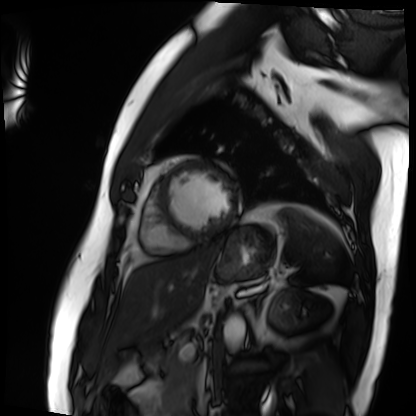
Summary:
Cardiac MRI. Subject group: patient.